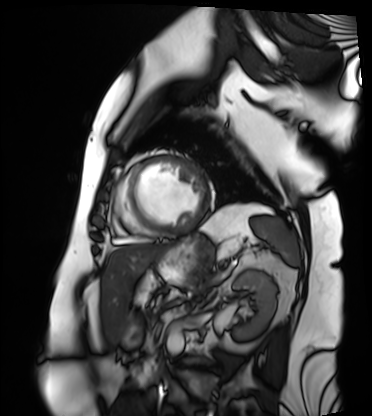
Cardiac MRI. Subject group: patient.